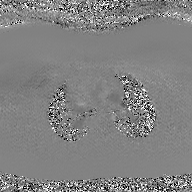
Summary:
2D phase-contrast cine MRI of the ascending aorta, GAN super-resolution reconstruction.